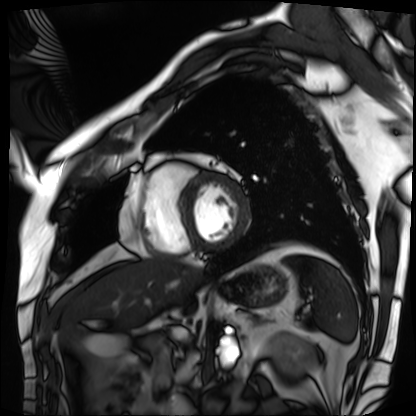
Q: What kind of scan is this?
A: Cardiac MRI.
Subject group: patient.